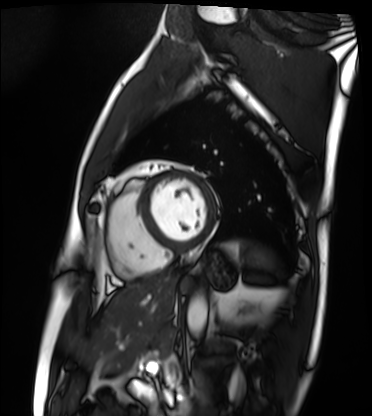
Cardiac MRI. Subject group: patient.